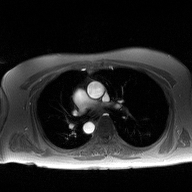
2D phase-contrast cine MRI of the ascending aorta, high-resolution GRAPPA acquisition.